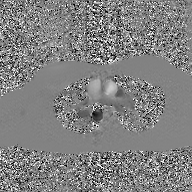
2D phase-contrast cine MRI of the ascending aorta, GAN super-resolution reconstruction.